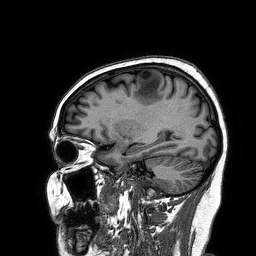
Clinical context:
3 Tesla brain MRI. Series: 3D T1-weighted turbo field echo. Study: ring-enhancing brain masses.